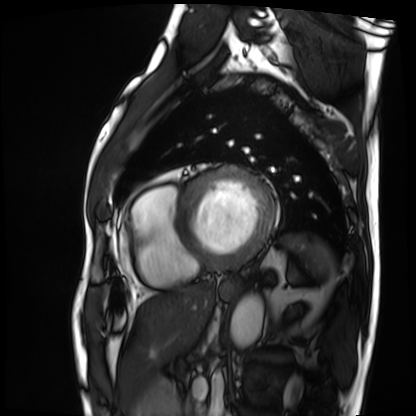
Cardiac MRI. Subject group: patient.